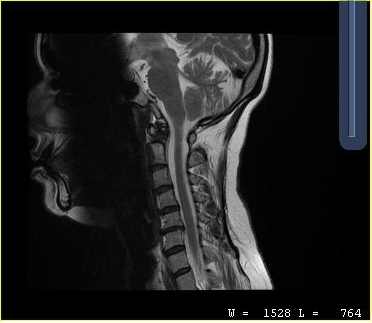
MRI of the cervical spine. Study: cervical spondylosis.